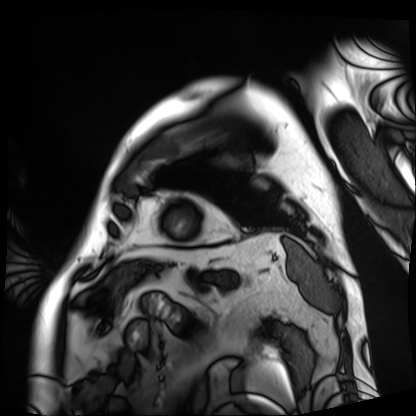
modality — cardiac MRI
subject group — patient